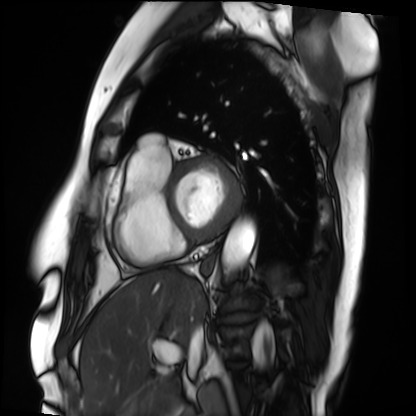
modality=cardiac MRI
subject group=patient